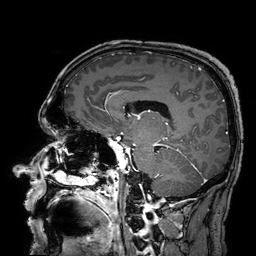
Summary: 3 Tesla brain MRI. Series: 3D T1-weighted turbo field echo with SENSE. Study: ring-enhancing brain masses.